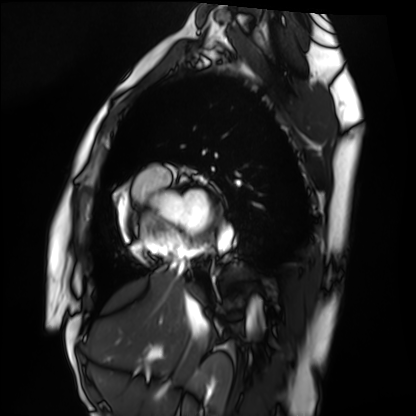
| field | value |
|---|---|
| modality | cardiac MRI |
| subject group | healthy volunteer |